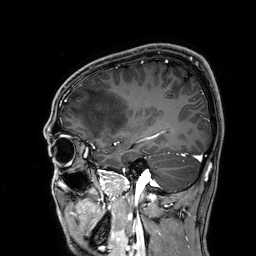
<study>
<modality>
  <type>brain MRI</type>
  <field_strength>3T</field_strength>
</modality>
<series>3D T1-weighted</series>
<study_topic>ring-enhancing brain masses</study_topic>
</study>